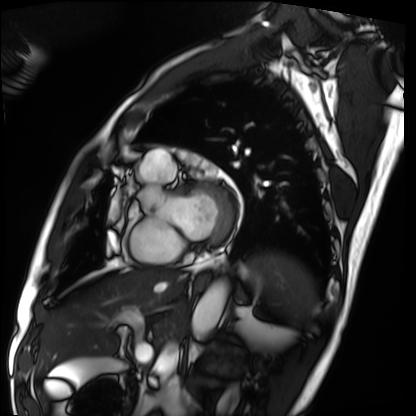
modality = cardiac MRI, subject group = patient.